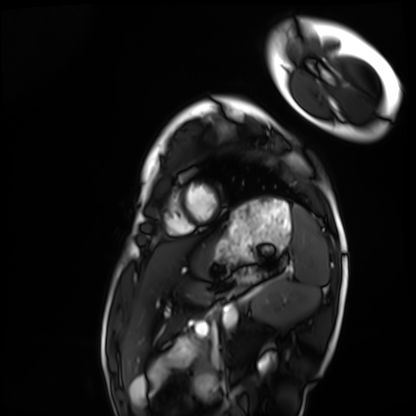
Cardiac MRI. Subject group: healthy volunteer.